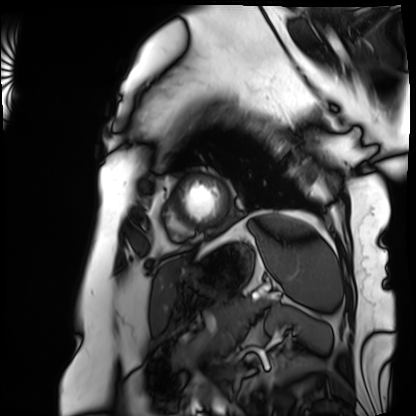
| field | value |
|---|---|
| modality | cardiac MRI |
| subject group | patient |